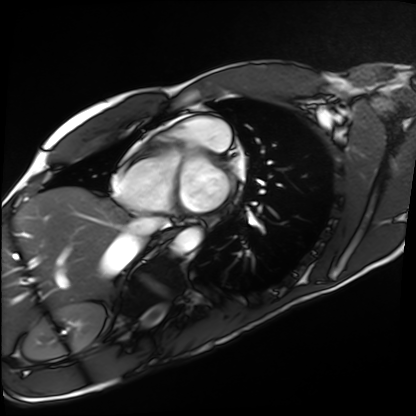
modality: cardiac MRI
subject group: healthy volunteer